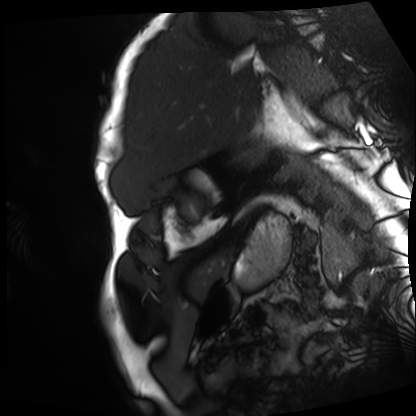
Case:
• modality: cardiac MRI
• subject group: patient